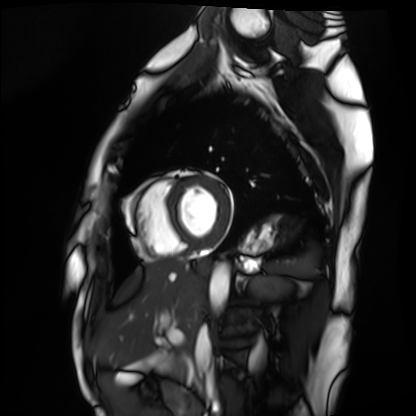
Clinical context:
Cardiac MRI. Subject group: healthy volunteer.